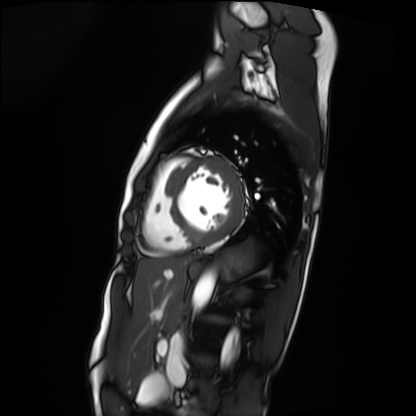
Cardiac MRI.
Subject group: patient.